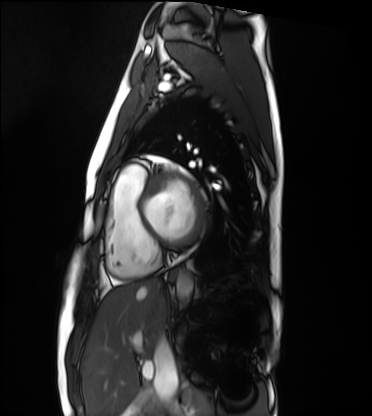
modality=cardiac MRI | subject group=healthy volunteer.